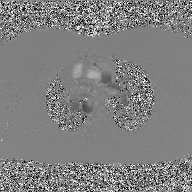
modality — 2D phase-contrast cine MRI of the ascending aorta, GAN super-resolution reconstruction.